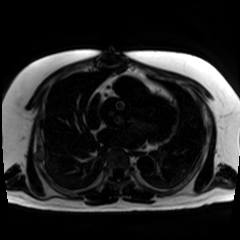
modality=chemical-shift-encoded cardiac MRI.